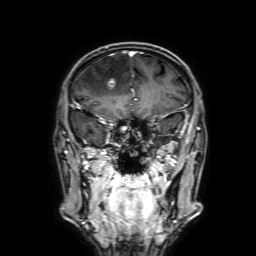
Case summary: 3 Tesla brain MRI. Series: 3D T1-weighted with SENSE. Study: ring-enhancing brain masses.